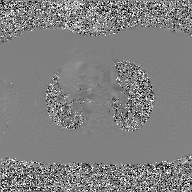
Summary: 2D phase-contrast cine MRI of the ascending aorta, GAN super-resolution reconstruction.